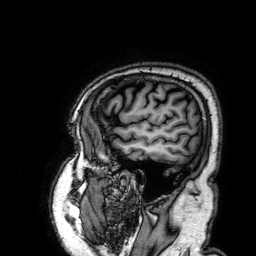
Clinical context:
3 Tesla brain MRI. Series: 3D T1-weighted. Study: ring-enhancing brain masses.